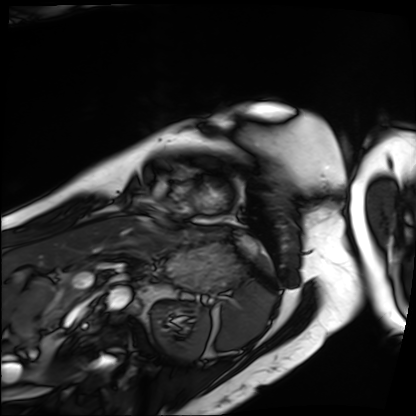
Cardiac MRI.
Subject group: patient.